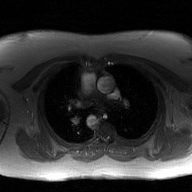
• modality · 2D phase-contrast cine MRI of the ascending aorta, GAN super-resolution reconstruction